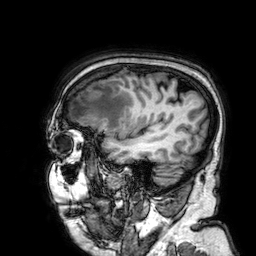
Summary: 3 Tesla brain MRI. Series: 3D T1-weighted. Study: ring-enhancing brain masses.